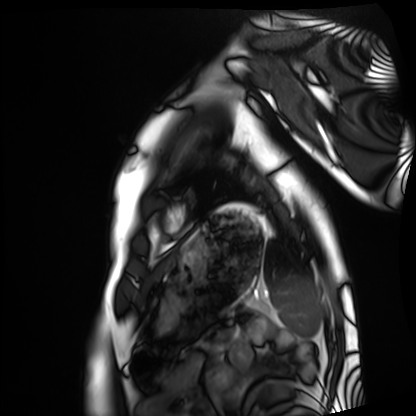
Cardiac MRI. Subject group: healthy volunteer.